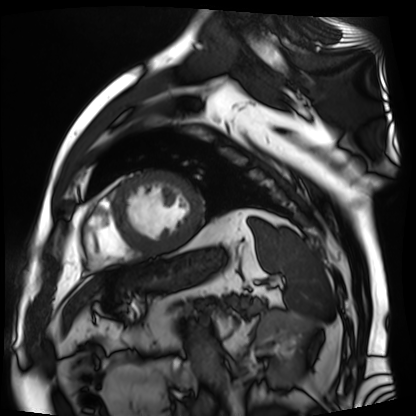
Q: What kind of scan is this?
A: Cardiac MR image of the myocardium.
Subject cohort: cardiac patient.